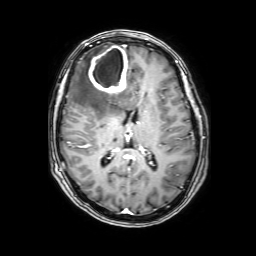
{
  "modality": {
    "type": "brain MRI",
    "field_strength": "3T"
  },
  "series": "3D T1-weighted with SENSE",
  "study_topic": "ring-enhancing brain masses"
}